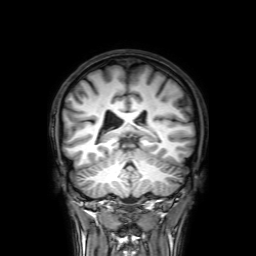
modality: 3 Tesla brain MRI | series: 3D T1-weighted with SENSE | study: ring-enhancing brain masses.